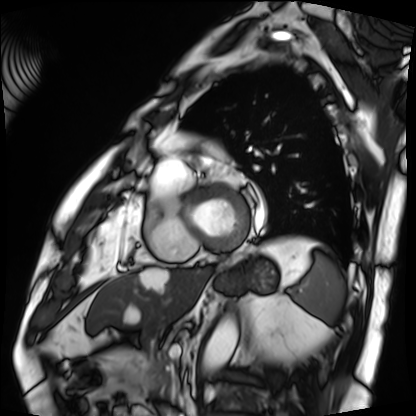
| field | value |
|---|---|
| modality | cardiac MRI |
| subject group | patient |